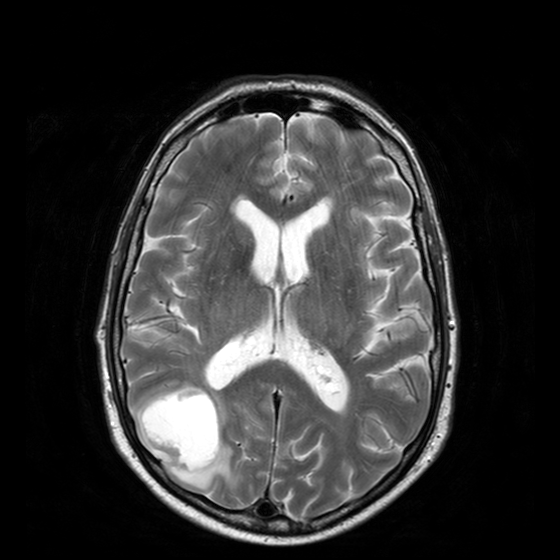
Clinical context:
3 Tesla brain MRI. Series: T2-weighted turbo spin echo with CLEAR. Study: ring-enhancing brain masses.